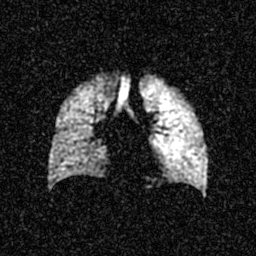
Clinical context:
Hyperpolarized 129Xe ventilation MRI of the lungs. SNR level 4 of 8 (the deposit holds this scan as its native image and as seven SNR-degraded versions).